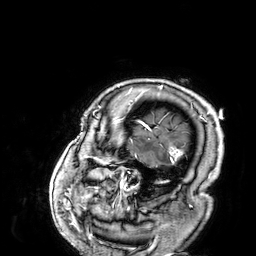
3 Tesla brain MRI. Series: 3D T1-weighted. Study: ring-enhancing brain masses.